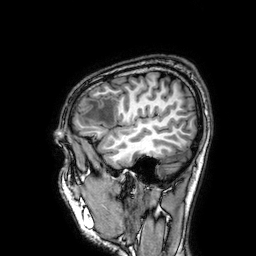
3 Tesla brain MRI. Series: 3D T1-weighted. Study: ring-enhancing brain masses.